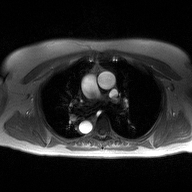
  modality:
    type: 2D phase-contrast cine MRI
    region: ascending aorta
    reconstruction: high-resolution GRAPPA acquisition